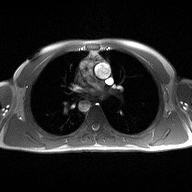
- modality · 2D phase-contrast cine MRI of the ascending aorta